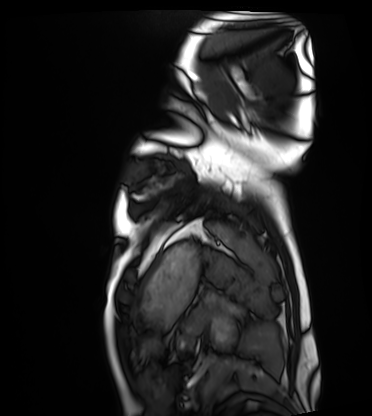
{
  "modality": "cardiac MRI",
  "cohort": "healthy volunteer"
}